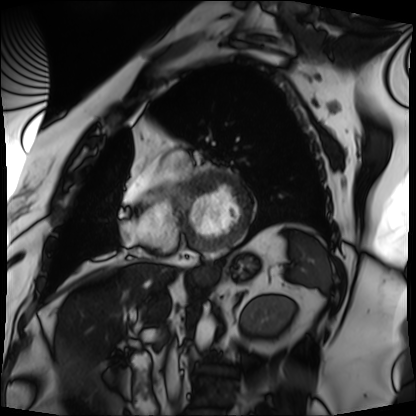
modality: cardiac MRI
subject group: patient